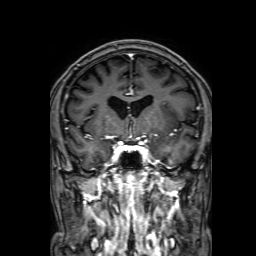
modality: 3 Tesla brain MRI | series: 3D T1-weighted with SENSE | study: ring-enhancing brain masses.